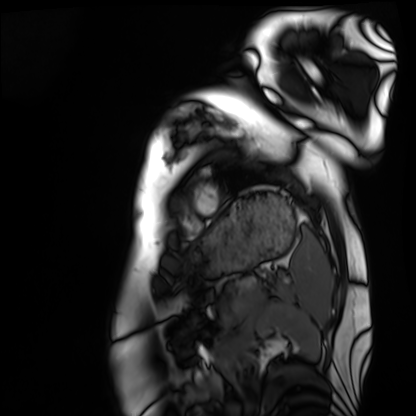
Cardiac MRI. Subject group: healthy volunteer.